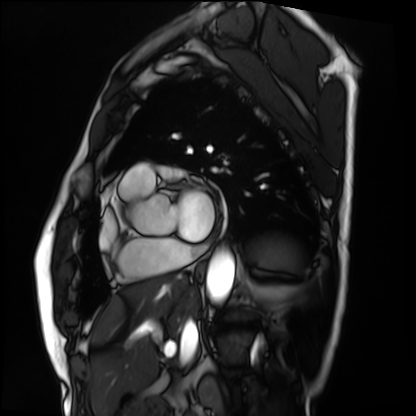
modality = cardiac MRI
subject group = patient